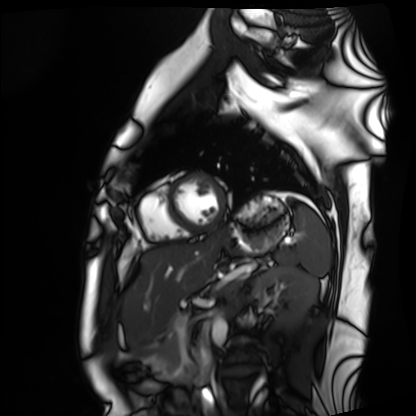
Cardiac MRI.
Subject group: healthy volunteer.